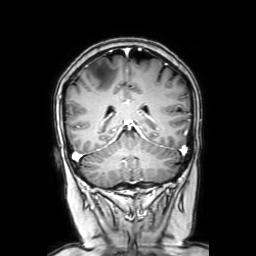
3 Tesla brain MRI. Series: coronal with contrast. Study: ring-enhancing brain masses.